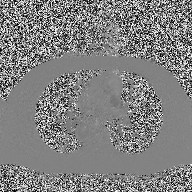
Case summary:
2D phase-contrast cine MRI of the ascending aorta, high-resolution GRAPPA acquisition.